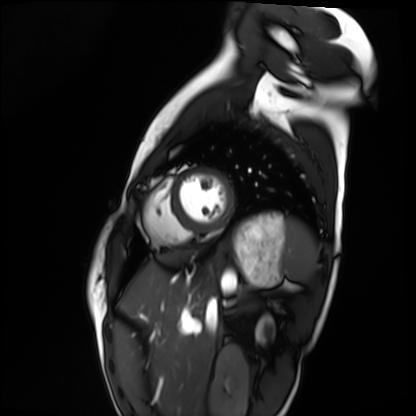
* modality — cardiac MRI
* subject group — healthy volunteer